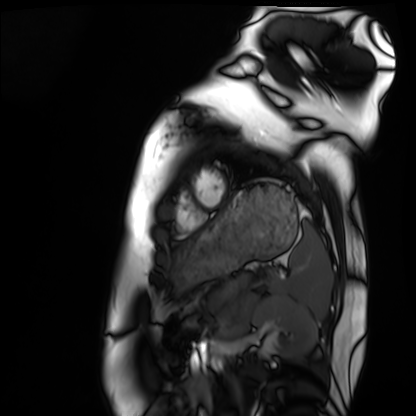
{"modality": "cardiac MRI", "cohort": "healthy volunteer"}